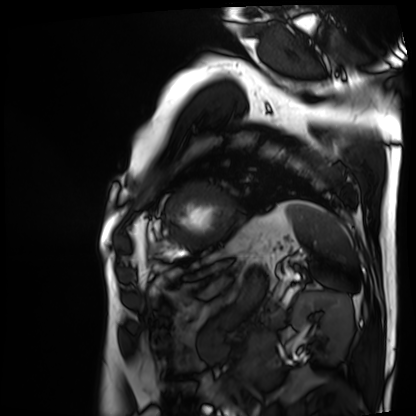
modality: cardiac MRI | subject group: patient.